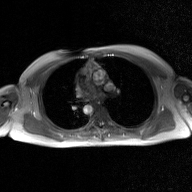
Summary: 2D phase-contrast cine MRI of the ascending aorta, GAN super-resolution reconstruction.